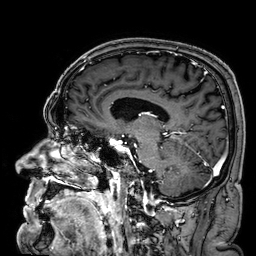
Q: What kind of scan is this?
A: 3 Tesla brain MRI.
Q: Series?
A: 3D T1-weighted.
Study: ring-enhancing brain masses.